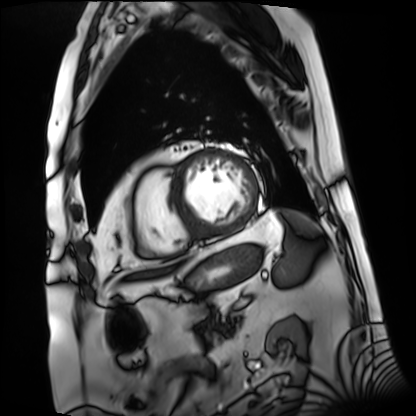
Clinical context: Cardiac MRI. Subject group: patient.